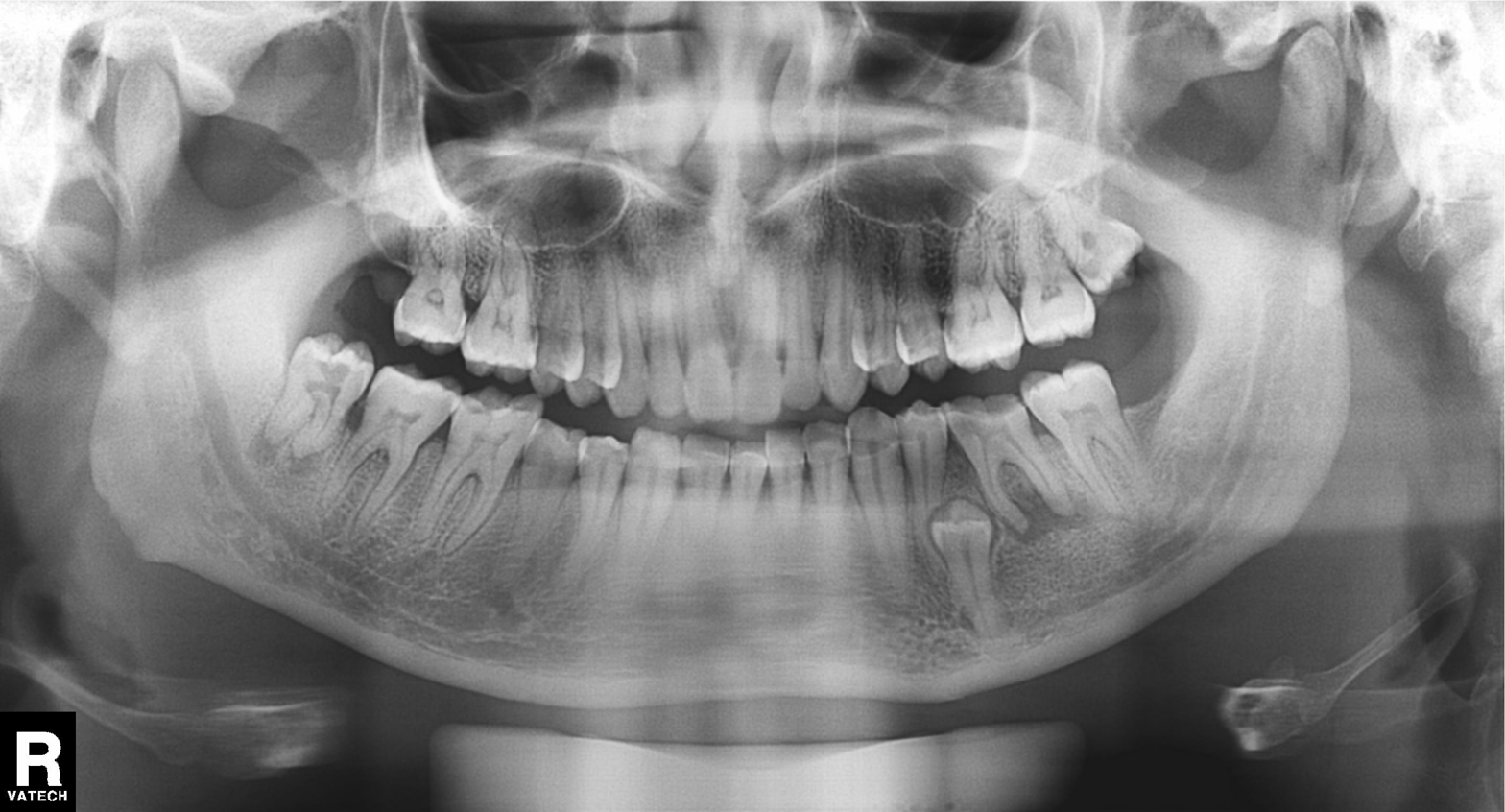
Panoramic dental radiograph (orthopantomogram).
Finding: alveolar bone loss.